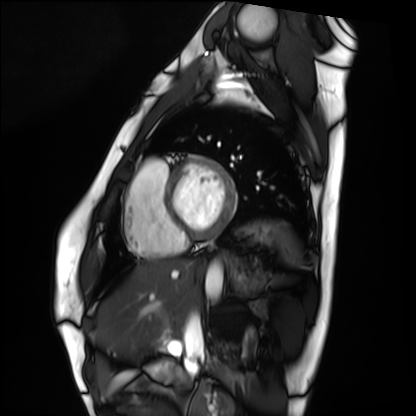
Cardiac MRI.
Subject group: healthy volunteer.